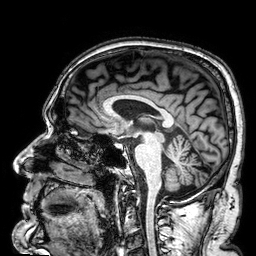
Q: What kind of scan is this?
A: 3 Tesla brain MRI.
Q: Series?
A: 3D T1-weighted.
Study: ring-enhancing brain masses.